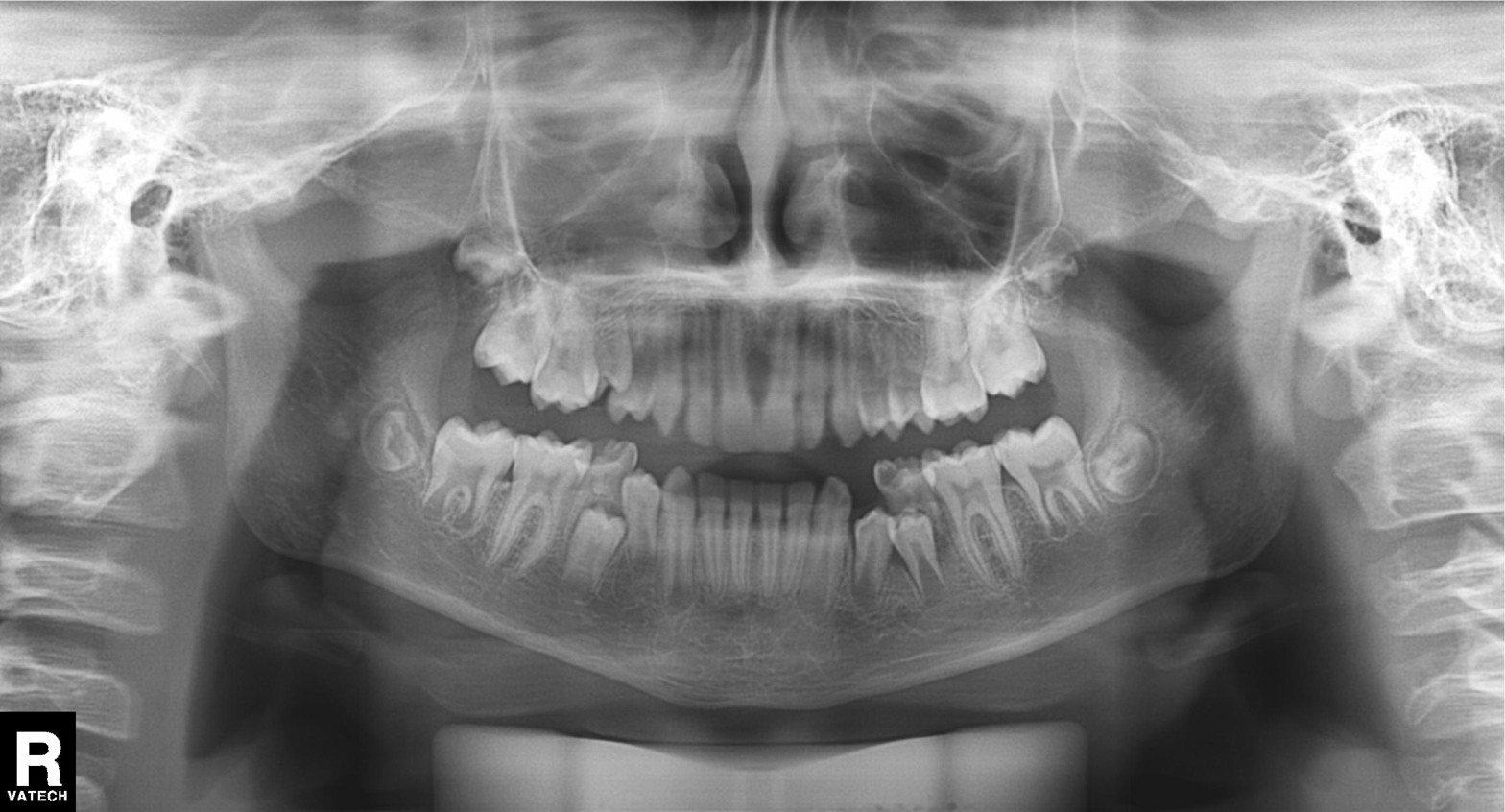
| feature | finding |
|---|---|
| modality | panoramic dental radiograph (orthopantomogram) |
| finding | alveolar bone loss |